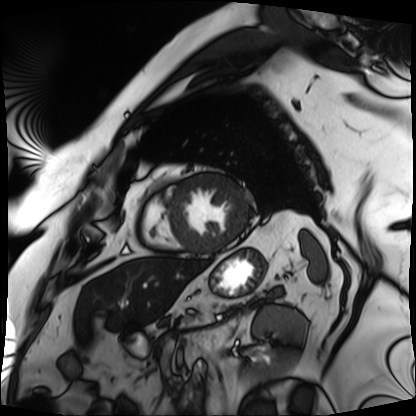
– modality — cardiac MRI
– subject group — patient